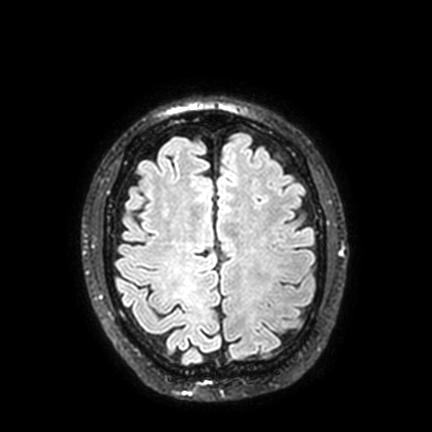
3 Tesla brain MRI. Series: FLAIR VISTA with SENSE. Study: ring-enhancing brain masses.